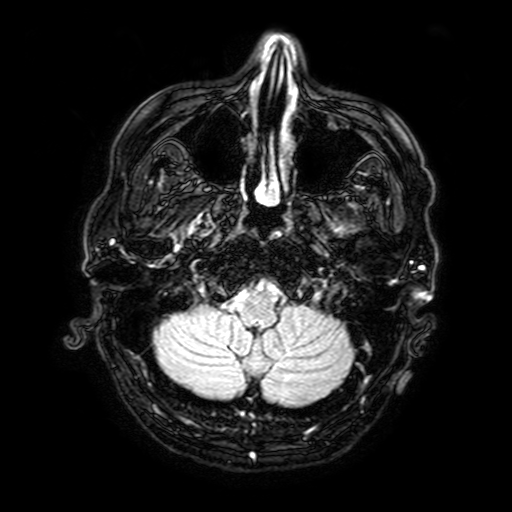
- modality: 3 Tesla brain MRI
- series: FLAIR with SPAIR, 3 mm
- study: ring-enhancing brain masses